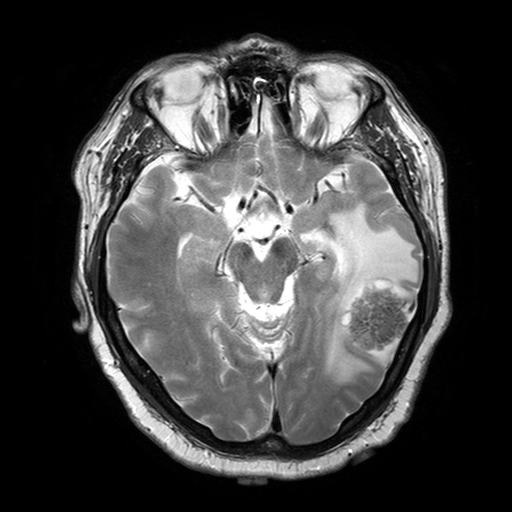
3 Tesla brain MRI.
Series: T2-weighted turbo spin echo with SENSE.
Study: ring-enhancing brain masses.